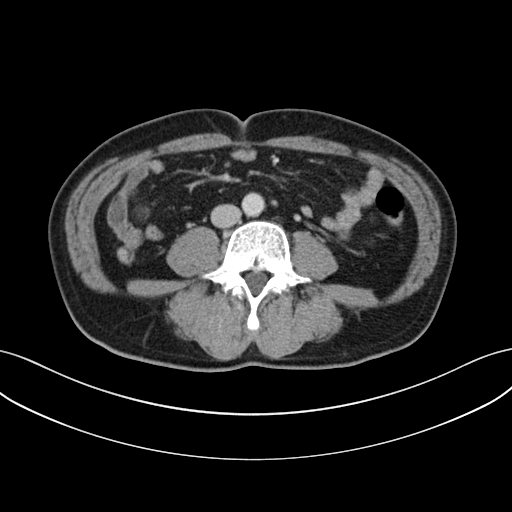
  modality:
    type: multiphase abdominal CT
    region: liver
    phase: portal venous
  patient:
    sex: male
    age: 63